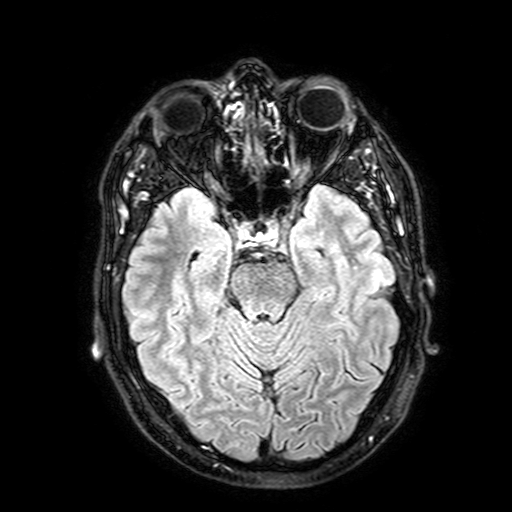
Clinical context:
3 Tesla brain MRI. Series: FLAIR with SPAIR, 3 mm. Study: ring-enhancing brain masses.